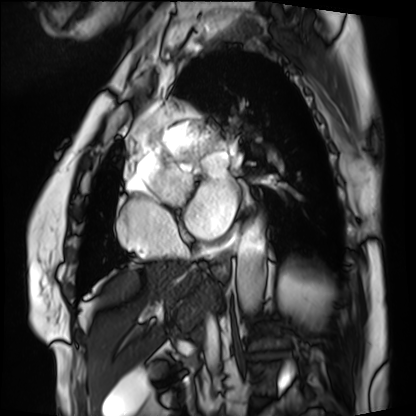
Cardiac MRI. Subject group: patient.